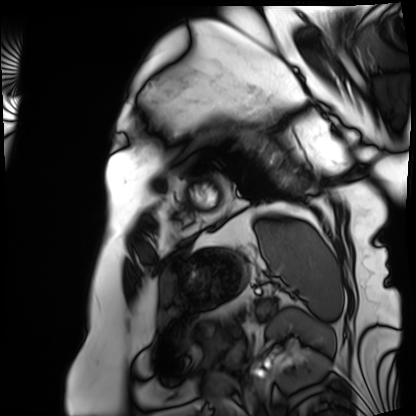
modality — cardiac MRI; subject group — patient.